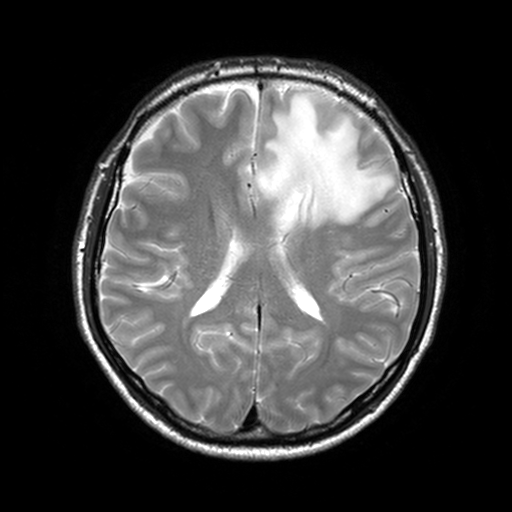
3 Tesla brain MRI. Series: T2-weighted turbo spin echo, 3 mm. Study: ring-enhancing brain masses.